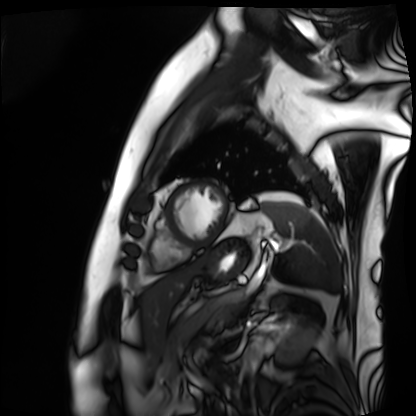
Q: What kind of scan is this?
A: Cardiac MRI.
Subject group: patient.